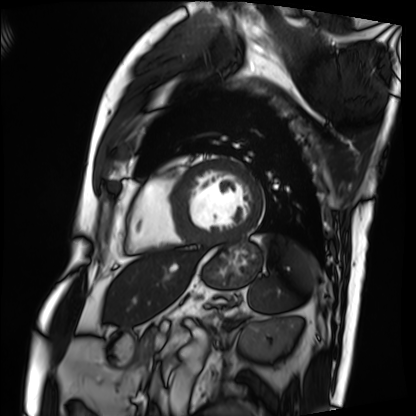
modality = cardiac MRI, subject group = patient.